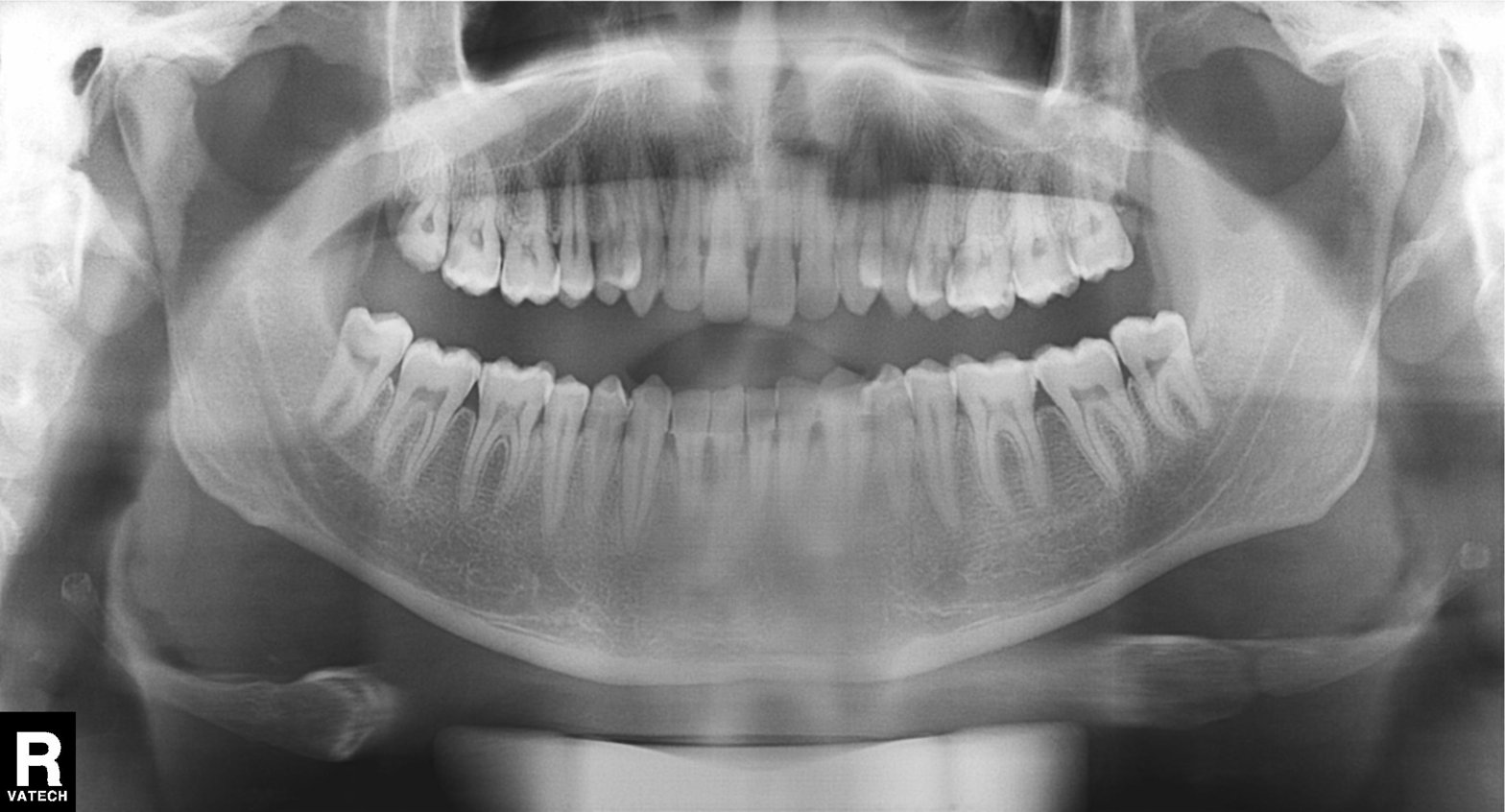
* modality — panoramic dental radiograph (orthopantomogram)
* finding — no pathological findings